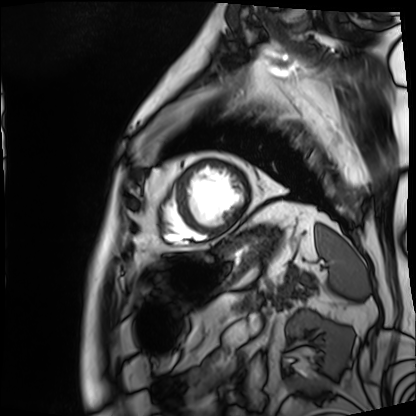
Case summary: Cardiac MRI. Subject group: patient.